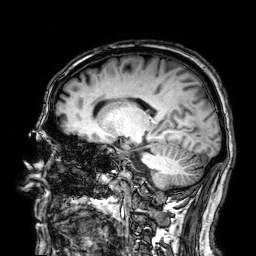
3 Tesla brain MRI. Series: 3D T1-weighted. Study: ring-enhancing brain masses.